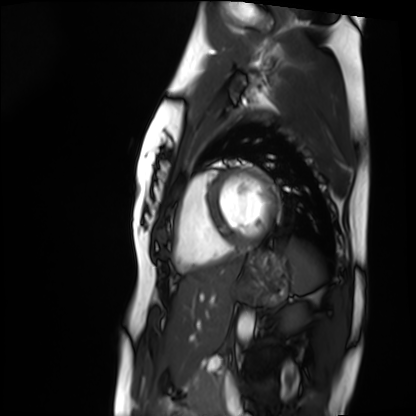
{
  "modality": "cardiac MRI",
  "cohort": "healthy volunteer"
}